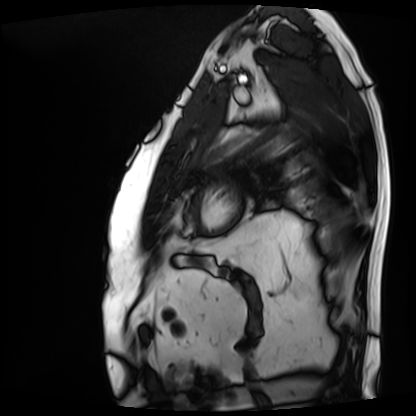
Cardiac MRI. Subject group: patient.